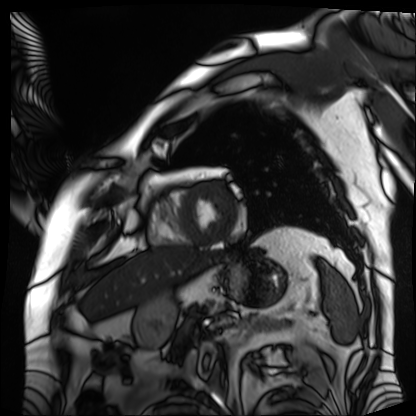
Cardiac MRI. Subject group: patient.